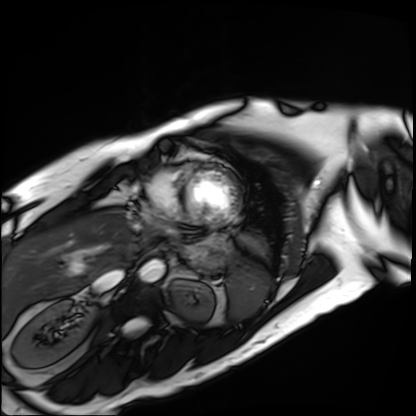
| field | value |
|---|---|
| modality | cardiac MRI |
| subject group | patient |